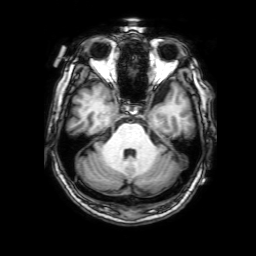
Q: What kind of scan is this?
A: 3 Tesla brain MRI.
Q: Series?
A: 3D T1-weighted with SENSE.
Study: ring-enhancing brain masses.